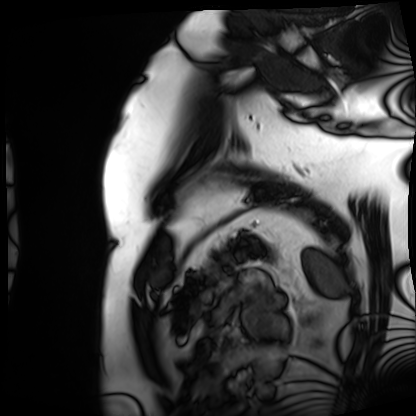
Cardiac MRI.
Subject group: patient.